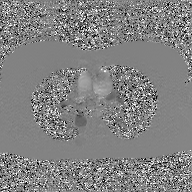
2D phase-contrast cine MRI of the ascending aorta, GAN super-resolution reconstruction.